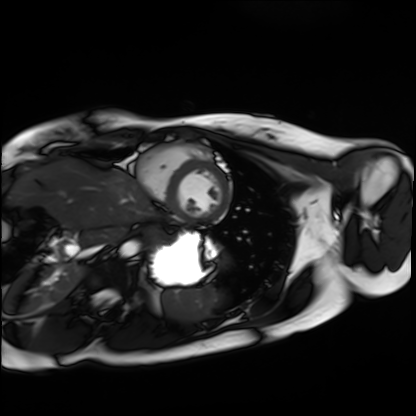
  modality: cardiac MRI
  cohort: healthy volunteer